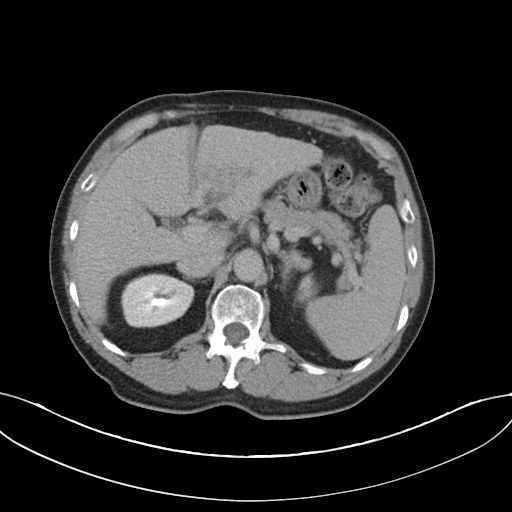
Multiphase abdominal CT, liver, delayed phase. Patient: male, age 75.